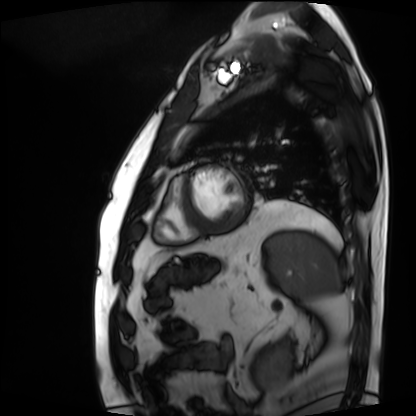
Summary: Cardiac MRI. Subject group: patient.